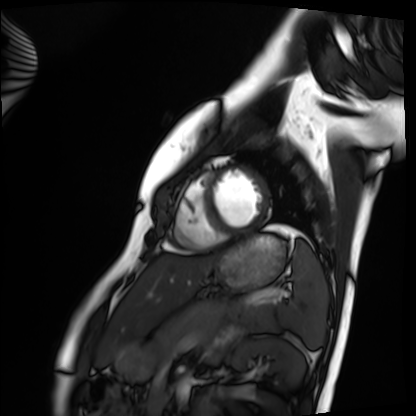
• modality · cardiac MRI
• subject group · healthy volunteer